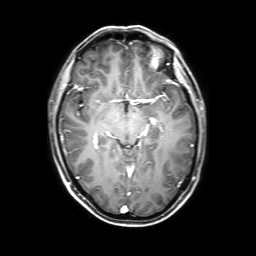
3 Tesla brain MRI.
Series: 3D T1-weighted with SENSE.
Study: ring-enhancing brain masses.